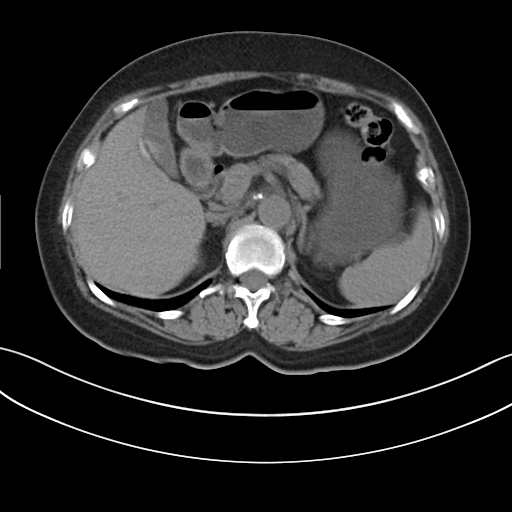
Case summary:
Multiphase abdominal CT, liver, non-contrast phase. Patient: female, age 64.